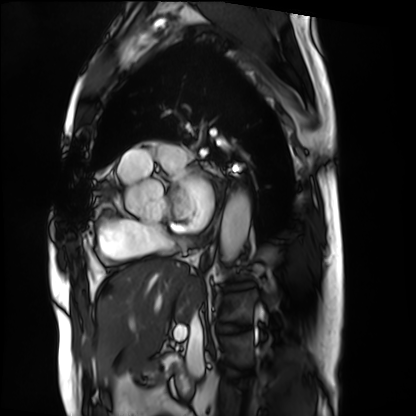
Cardiac MRI. Subject group: patient.